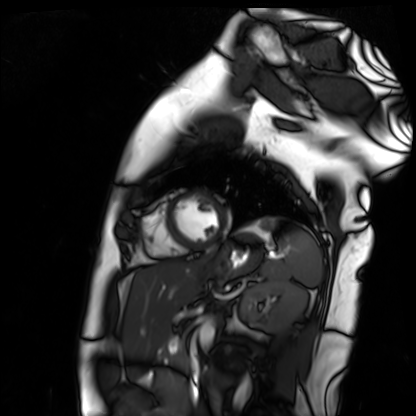
modality=cardiac MR image of the myocardium; subject cohort=healthy volunteer.